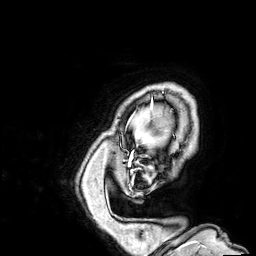
modality — 3 Tesla brain MRI; series — 3D T1-weighted; study — ring-enhancing brain masses.